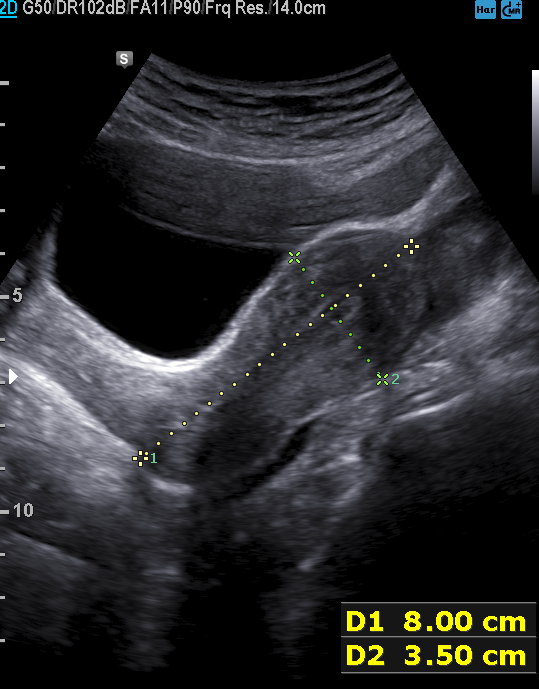
- modality · genitourinary ultrasound